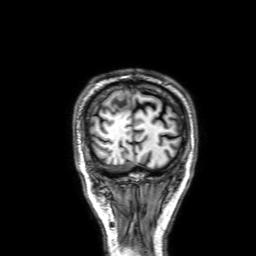
3 Tesla brain MRI. Study: ring-enhancing brain masses.